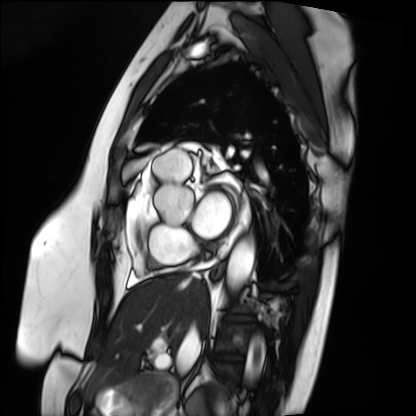
Cardiac MRI. Subject group: patient.